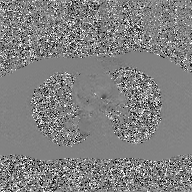
Q: What kind of scan is this?
A: 2D phase-contrast cine MRI of the ascending aorta, GAN super-resolution reconstruction.